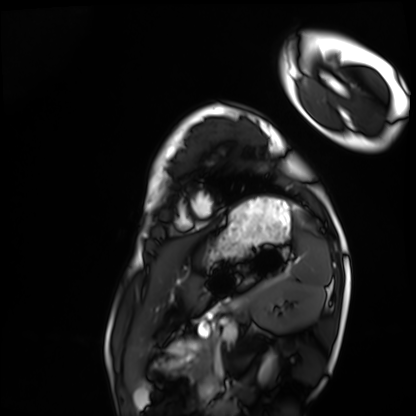
modality = cardiac MRI, subject group = healthy volunteer.